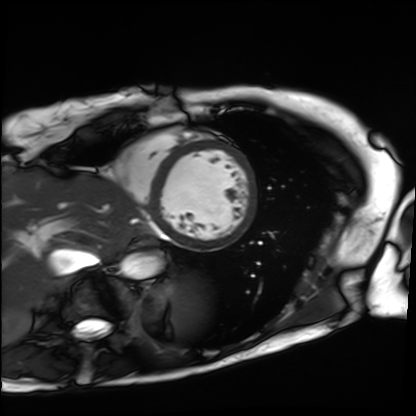
Case summary: Cardiac MRI. Subject group: patient.